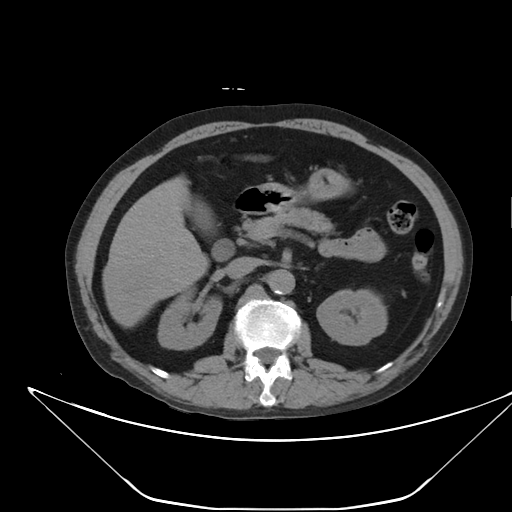
Summary: Multiphase abdominal CT, liver, non-contrast phase. Patient: male, age 59.